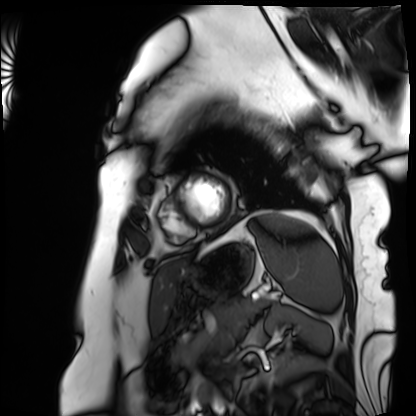
Case summary:
Cardiac MRI. Subject group: patient.